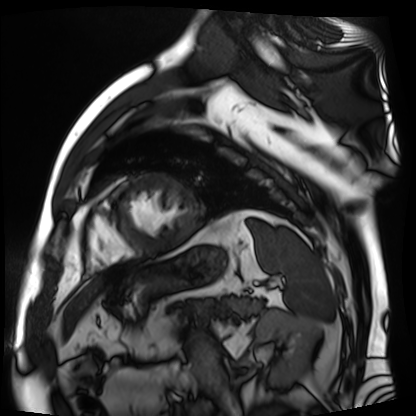
modality: cardiac MR image of the myocardium
subject cohort: cardiac patient